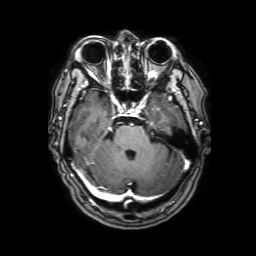
modality=3 Tesla brain MRI
series=3D T1-weighted with SENSE
study=ring-enhancing brain masses